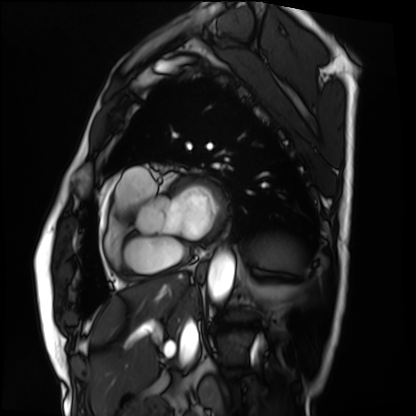
{"modality": "cardiac MRI", "cohort": "patient"}